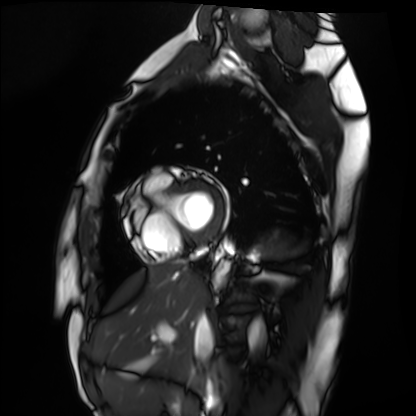
Cardiac MRI. Subject group: healthy volunteer.